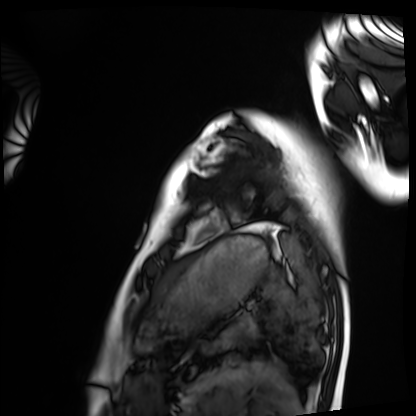
Q: What kind of scan is this?
A: Cardiac MRI.
Subject group: healthy volunteer.